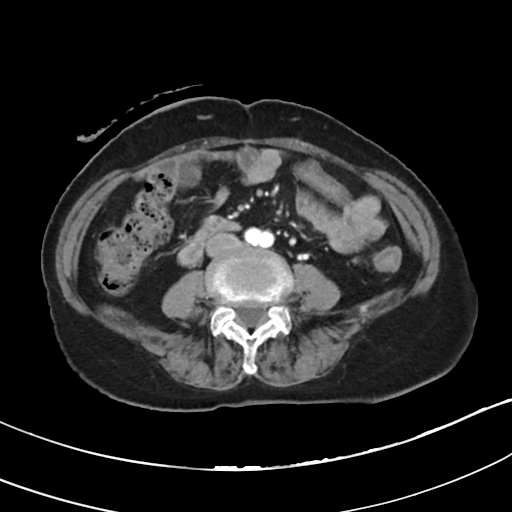
modality: multiphase abdominal CT, liver, arterial phase; patient: female, age 75.